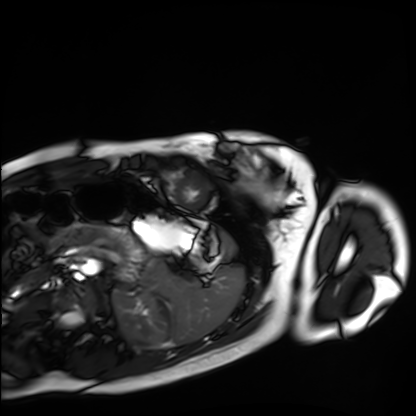
modality = cardiac MRI; subject group = healthy volunteer.